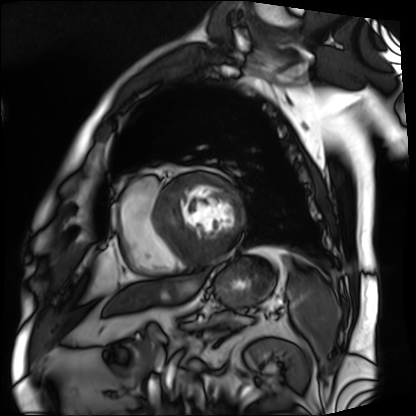
modality: cardiac MRI, subject group: patient.